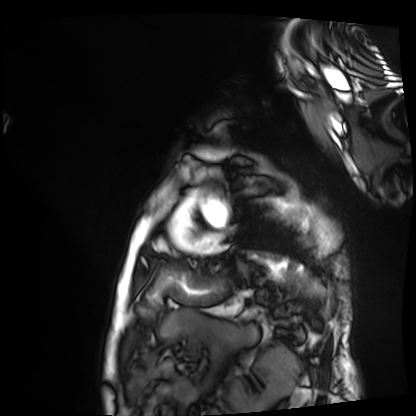
modality = cardiac MRI; subject group = patient.